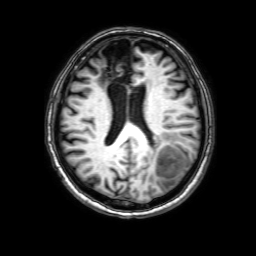
3 Tesla brain MRI. Series: 3D T1-weighted with SENSE. Study: ring-enhancing brain masses.